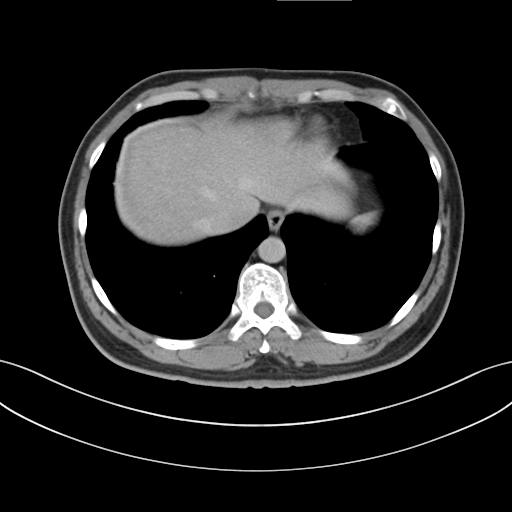
Multiphase abdominal CT, liver, delayed phase.
Patient: male, age 38.
History: cirrhosis, viral hepatitis.